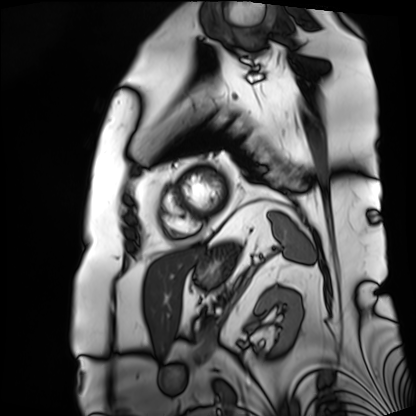
Clinical context: Cardiac MRI. Subject group: patient.